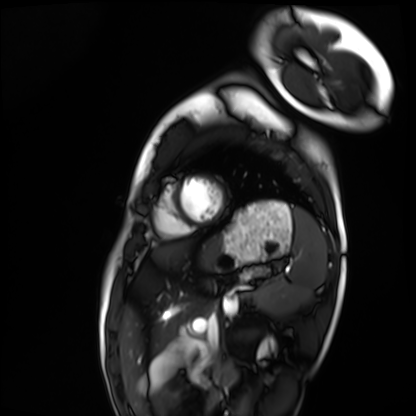
- modality: cardiac MRI
- subject group: healthy volunteer